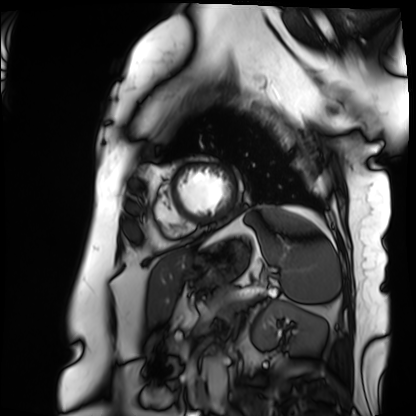
modality — cardiac MRI
subject group — patient